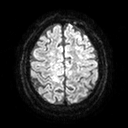
3 Tesla brain MRI.
Series: diffusion tensor imaging (medium iso).
Study: ring-enhancing brain masses.